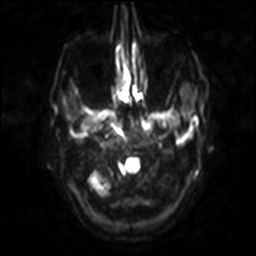
Clinical context: 3 Tesla brain MRI. Series: diffusion-weighted imaging with SENSE (WIP). Study: ring-enhancing brain masses.